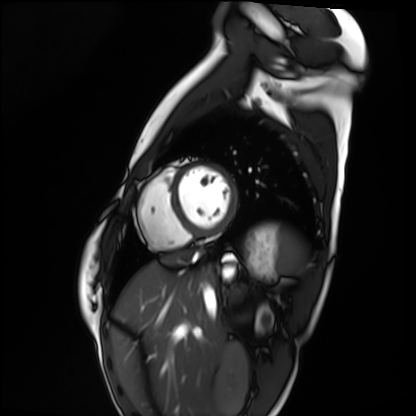
Q: What kind of scan is this?
A: Cardiac MRI.
Subject group: healthy volunteer.